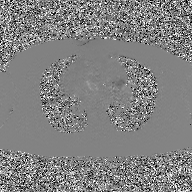
modality:
  type: 2D phase-contrast cine MRI
  region: ascending aorta
  reconstruction: GAN super-resolution reconstruction